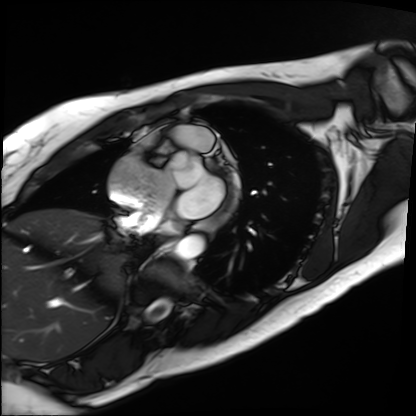
Q: What kind of scan is this?
A: Cardiac MRI.
Subject group: patient.